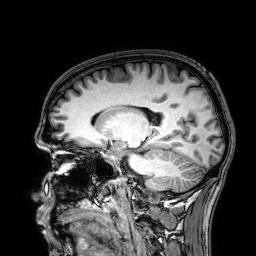
3 Tesla brain MRI. Series: 3D T1-weighted. Study: ring-enhancing brain masses.